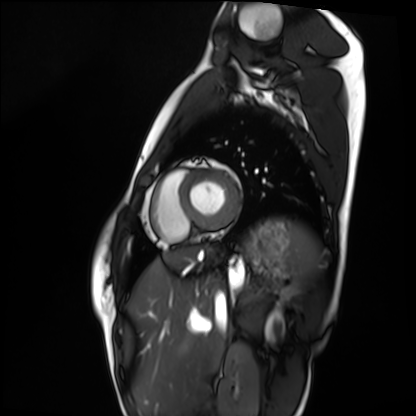
Q: What kind of scan is this?
A: Cardiac MRI.
Subject group: healthy volunteer.